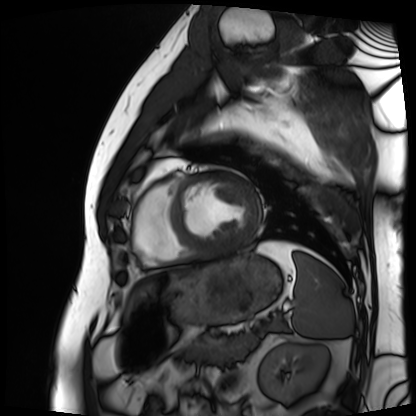
• modality · cardiac MRI
• subject group · patient